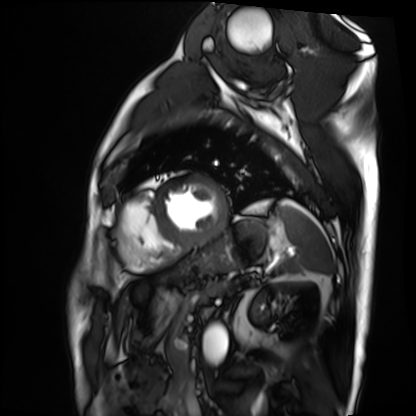
Cardiac MRI.
Subject group: patient.